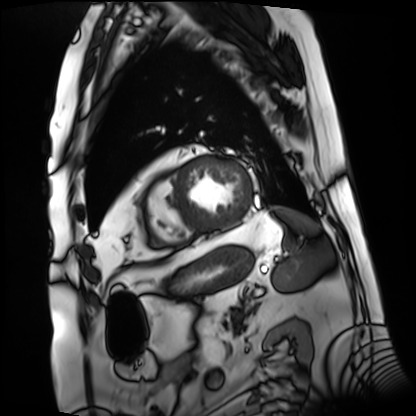
Cardiac MRI.
Subject group: patient.